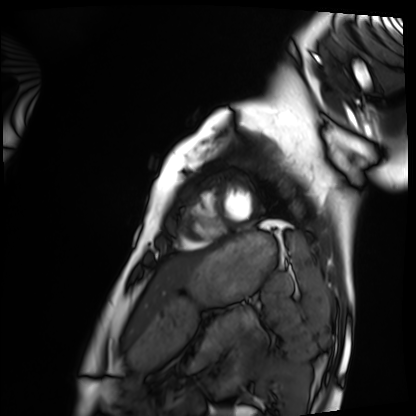
Q: What kind of scan is this?
A: Cardiac MRI.
Subject group: healthy volunteer.